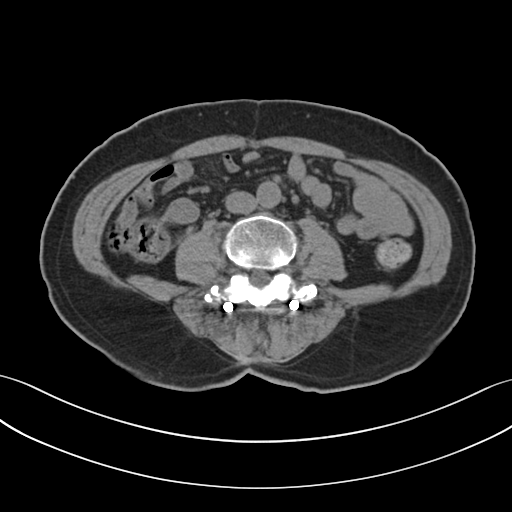
<case>
<modality>
  <type>multiphase abdominal CT</type>
  <region>liver</region>
  <phase>non-contrast</phase>
</modality>
<patient>
  <sex>male</sex>
  <age>65</age>
</patient>
</case>